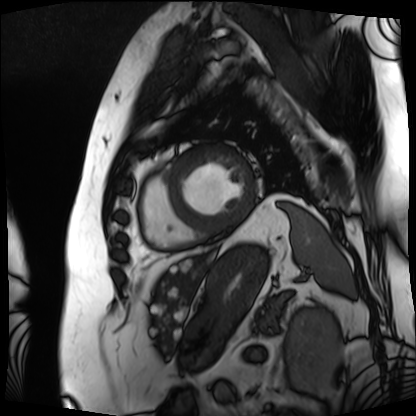
• modality: cardiac MRI
• subject group: patient